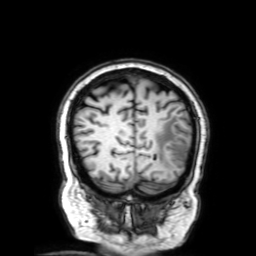
Q: What kind of scan is this?
A: 3 Tesla brain MRI.
Q: Series?
A: 3D T1-weighted with SENSE.
Study: ring-enhancing brain masses.